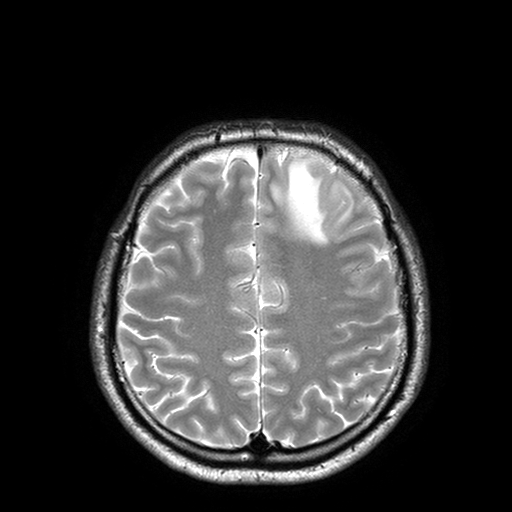
Q: What kind of scan is this?
A: 3 Tesla brain MRI.
Q: Series?
A: T2-weighted turbo spin echo with SENSE.
Study: ring-enhancing brain masses.